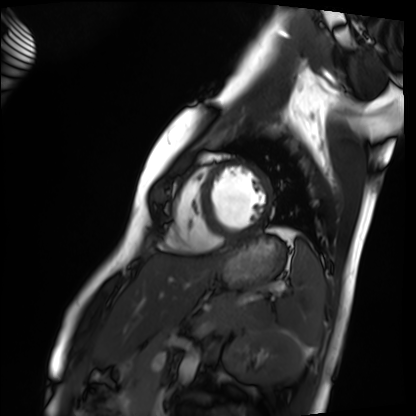
• modality: cardiac MRI
• subject group: healthy volunteer